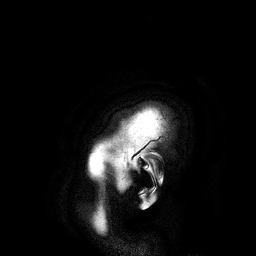
3 Tesla brain MRI.
Series: 3D T1-weighted turbo field echo.
Study: ring-enhancing brain masses.